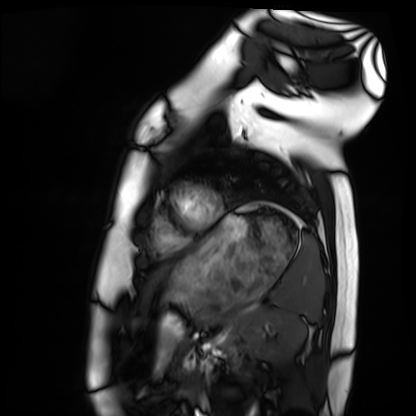
Q: What kind of scan is this?
A: Cardiac MRI.
Subject group: healthy volunteer.